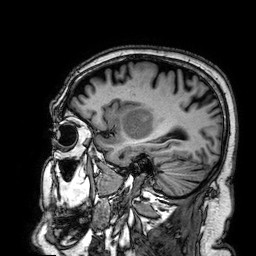
3 Tesla brain MRI.
Series: 3D T1-weighted.
Study: ring-enhancing brain masses.